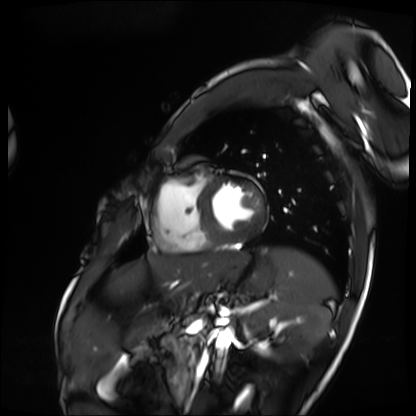
Cardiac MRI.
Subject group: patient.